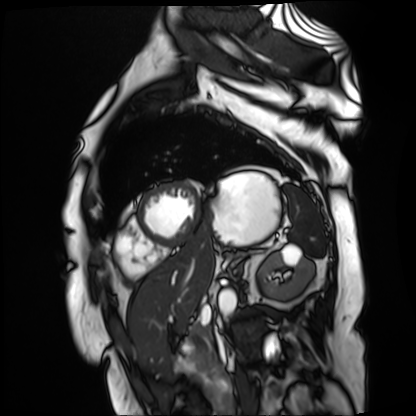
| field | value |
|---|---|
| modality | cardiac MR image of the myocardium |
| subject cohort | cardiac patient |